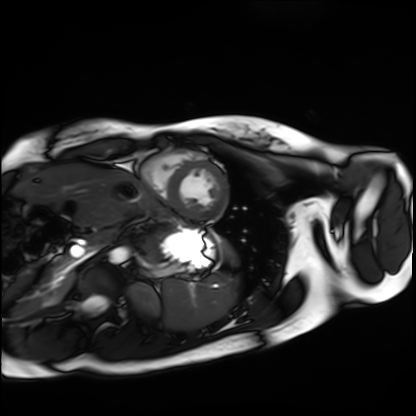
Cardiac MRI.
Subject group: healthy volunteer.